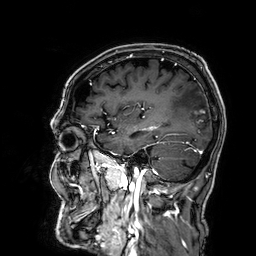
modality = 3 Tesla brain MRI
series = 3D T1-weighted
study = ring-enhancing brain masses